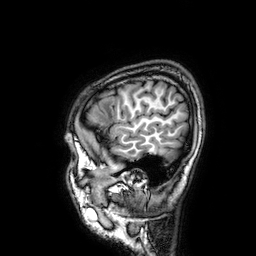
- modality — 3 Tesla brain MRI
- series — 3D T1-weighted
- study — ring-enhancing brain masses